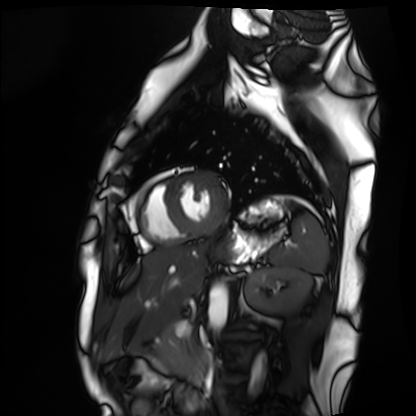
Cardiac MRI. Subject group: healthy volunteer.